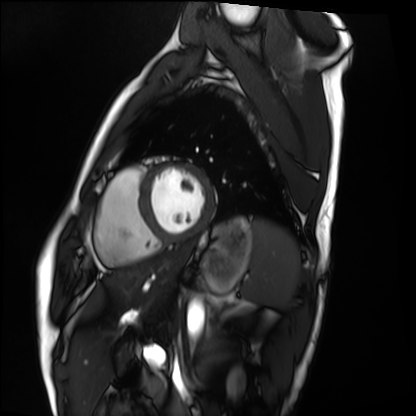
modality: cardiac MRI; subject group: healthy volunteer.